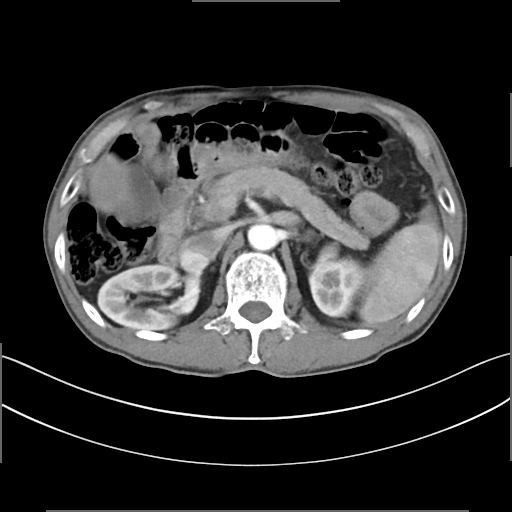
Multiphase abdominal CT, liver, arterial phase. Patient: male, age 62. History: cirrhosis, viral hepatitis, prior chemotherapy.